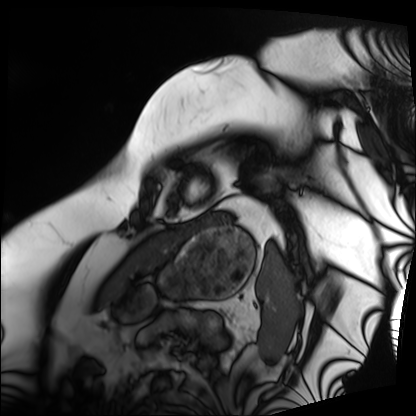
modality — cardiac MRI | subject group — patient.